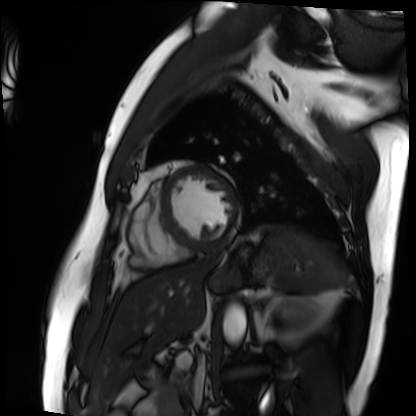
Case summary: Cardiac MRI. Subject group: patient.